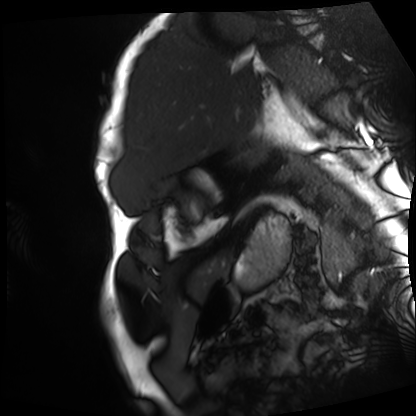
| field | value |
|---|---|
| modality | cardiac MRI |
| subject group | patient |